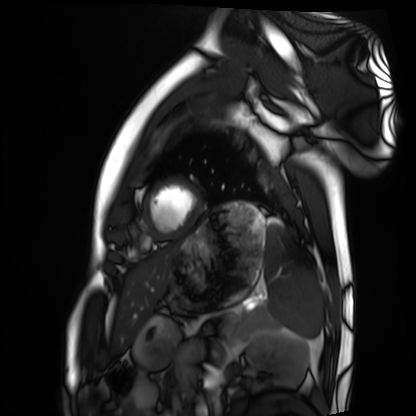
modality: cardiac MRI
subject group: healthy volunteer